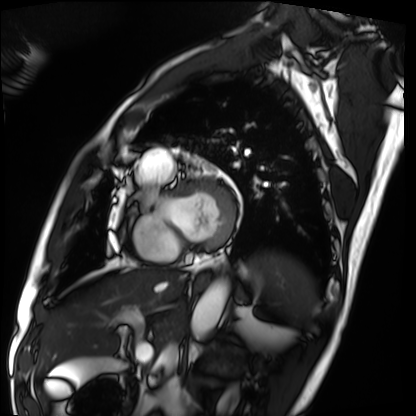
Cardiac MRI. Subject group: patient.